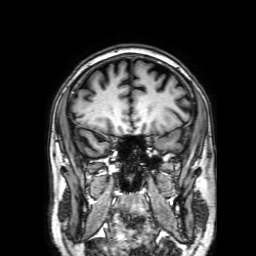
Clinical context: 3 Tesla brain MRI. Study: ring-enhancing brain masses.